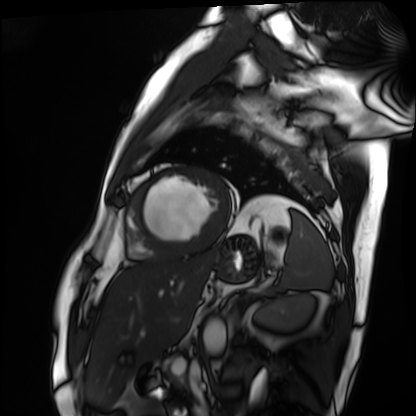
• modality: cardiac MRI
• subject group: patient